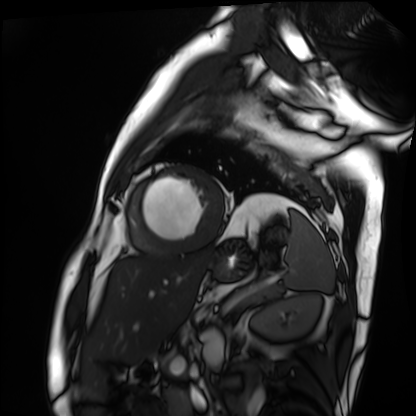
Case:
- modality: cardiac MRI
- subject group: patient